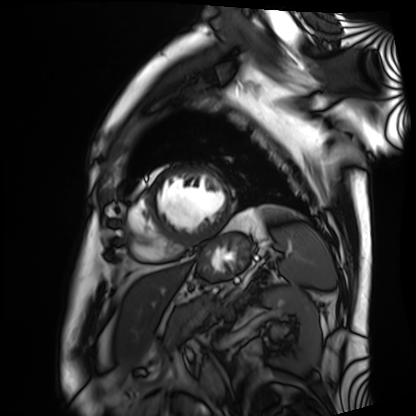
Cardiac MRI. Subject group: patient.